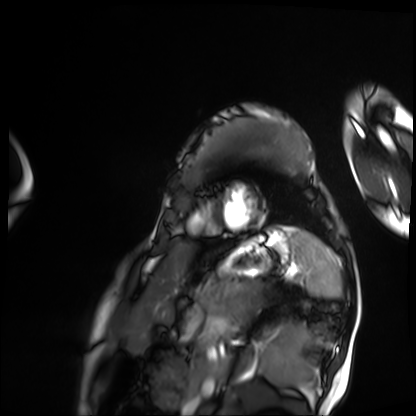
Summary: Cardiac MRI. Subject group: patient.